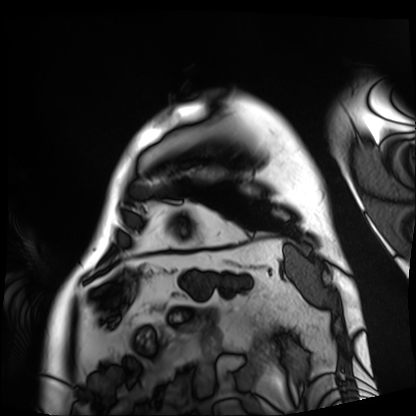
Cardiac MRI. Subject group: patient.